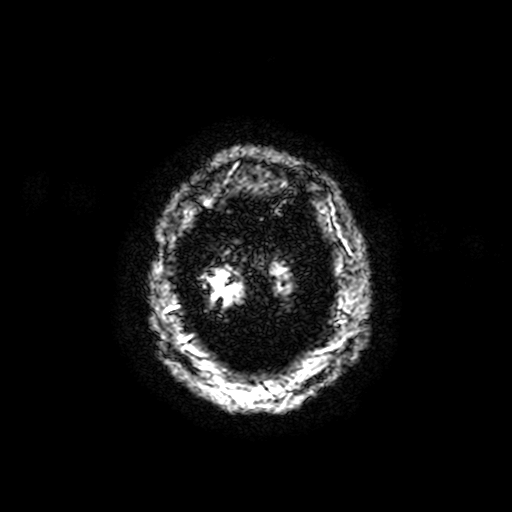
Case summary: 3 Tesla brain MRI. Series: T2-weighted fast field echo with SENSE. Study: ring-enhancing brain masses.